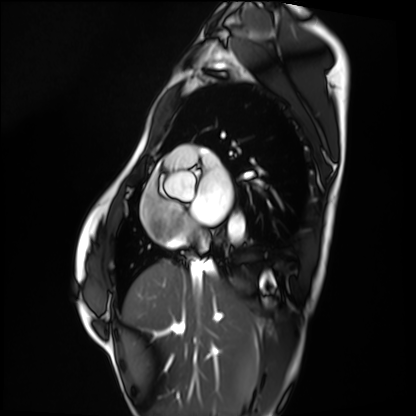
modality: cardiac MRI
subject group: healthy volunteer